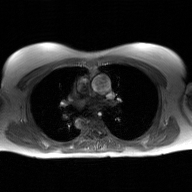
- modality: 2D phase-contrast cine MRI of the ascending aorta, GAN super-resolution reconstruction